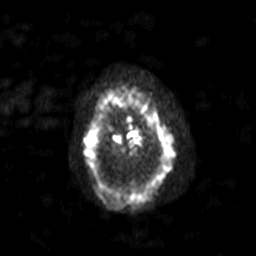
3 Tesla brain MRI.
Series: diffusion-weighted imaging with SENSE (WIP).
Study: ring-enhancing brain masses.